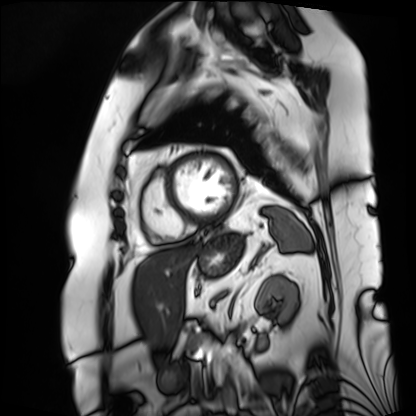
Summary:
Cardiac MRI. Subject group: patient.